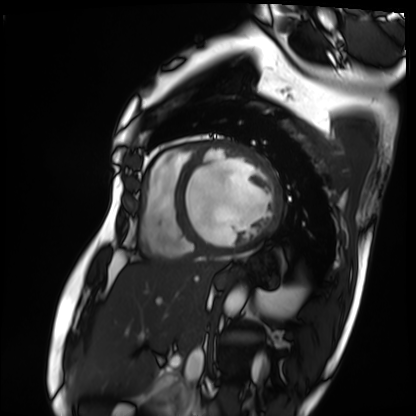
{"modality": "cardiac MRI", "cohort": "patient"}